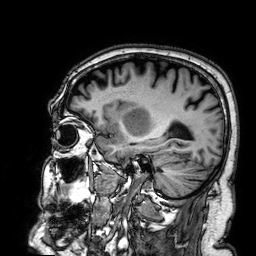
– modality · 3 Tesla brain MRI
– series · 3D T1-weighted
– study · ring-enhancing brain masses